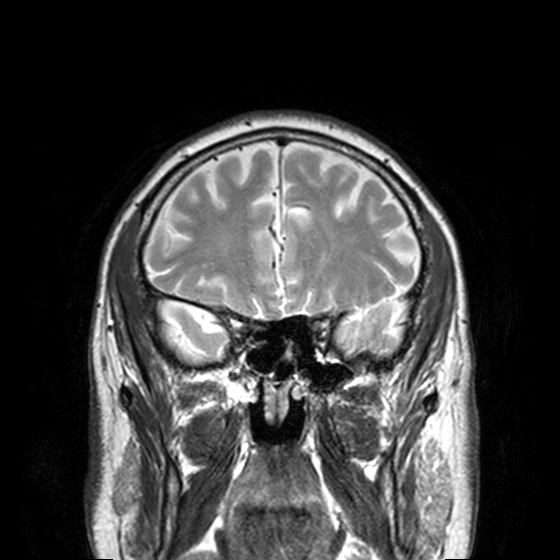
Q: What kind of scan is this?
A: 3 Tesla brain MRI.
Q: Series?
A: T2-weighted turbo spin echo, 3 mm.
Study: ring-enhancing brain masses.